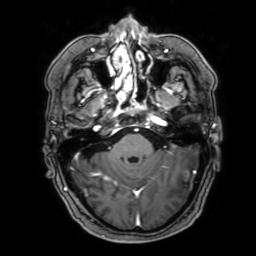
3 Tesla brain MRI.
Series: 3D T1-weighted with SENSE.
Study: ring-enhancing brain masses.